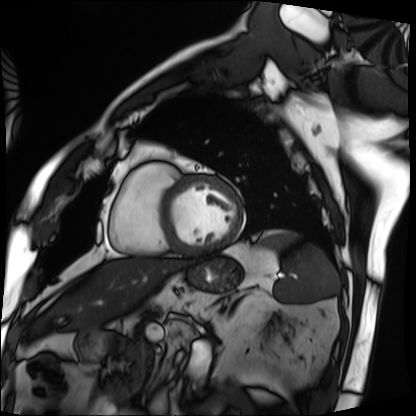
{"modality": "cardiac MRI", "cohort": "patient"}